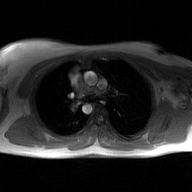
| field | value |
|---|---|
| modality | 2D phase-contrast cine MRI of the ascending aorta, GAN super-resolution reconstruction |